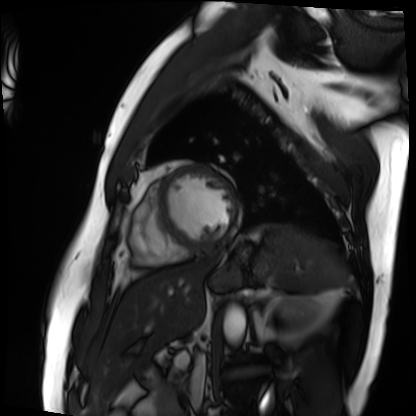
Cardiac MRI. Subject group: patient.